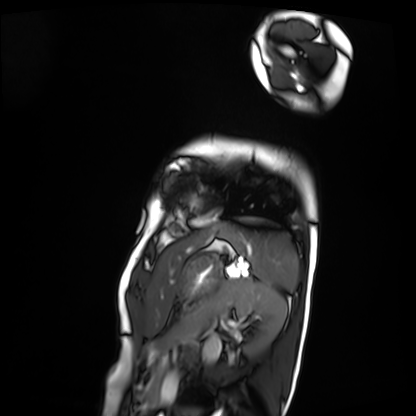
Cardiac MRI. Subject group: patient.